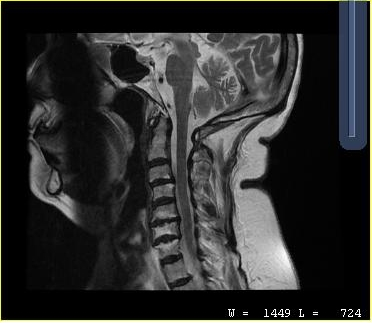
Q: What kind of scan is this?
A: MRI of the cervical spine.
Study: cervical spondylosis.